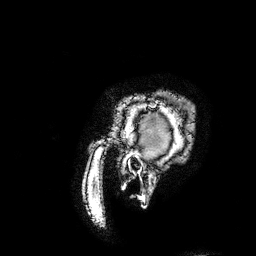
3 Tesla brain MRI.
Series: 3D T1-weighted turbo field echo with SENSE.
Study: ring-enhancing brain masses.